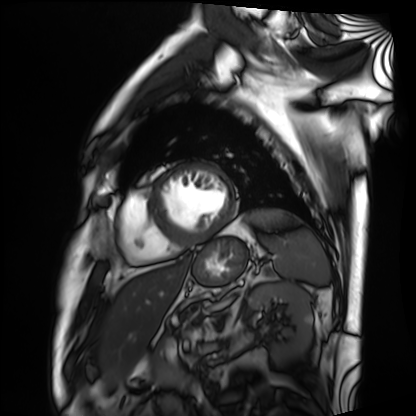
Cardiac MRI. Subject group: patient.